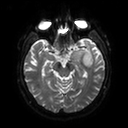
3 Tesla brain MRI. Series: diffusion tensor imaging (medium iso). Study: ring-enhancing brain masses.